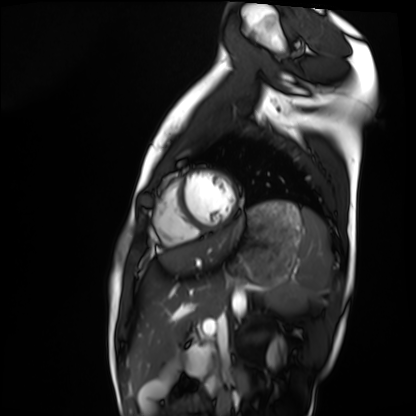
Cardiac MRI. Subject group: healthy volunteer.